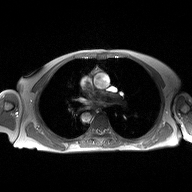
Summary:
2D phase-contrast cine MRI of the ascending aorta, high-resolution GRAPPA acquisition.